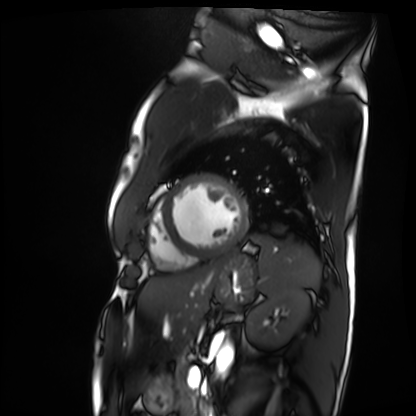
modality: cardiac MRI
cohort: patient